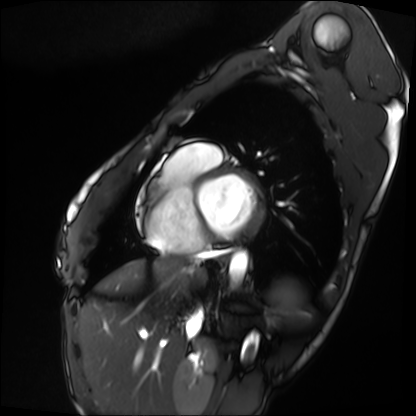
{
  "modality": "cardiac MRI",
  "cohort": "patient"
}